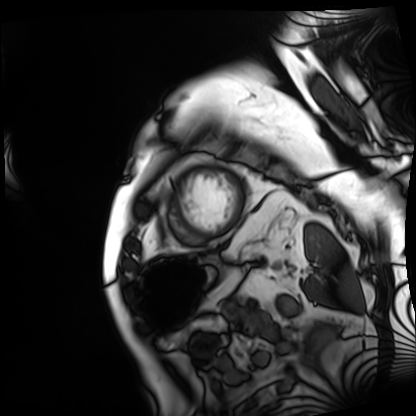
Cardiac MRI. Subject group: patient.